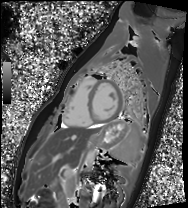
modality: cardiac MRI; subject group: healthy volunteer.